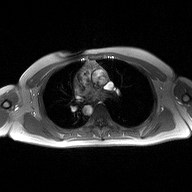
Q: What kind of scan is this?
A: 2D phase-contrast cine MRI of the ascending aorta.